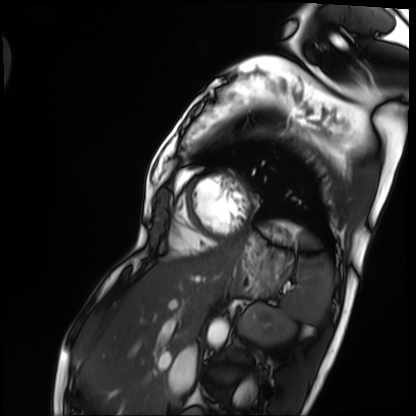
Cardiac MRI.
Subject group: patient.